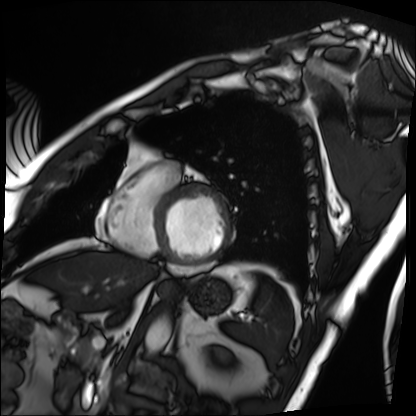
Case summary: Cardiac MRI. Subject group: patient.